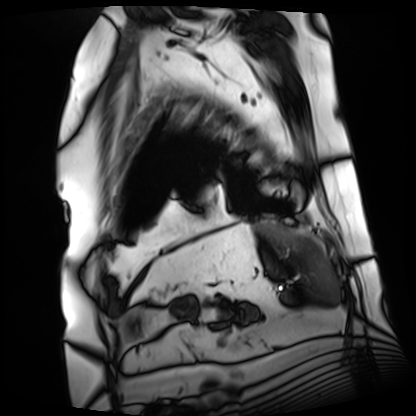
modality = cardiac MRI, subject group = patient.